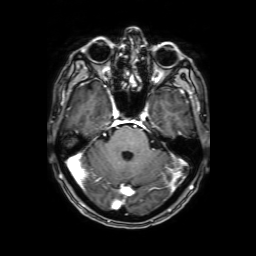
modality = 3 Tesla brain MRI; series = 3D T1-weighted with SENSE; study = ring-enhancing brain masses.